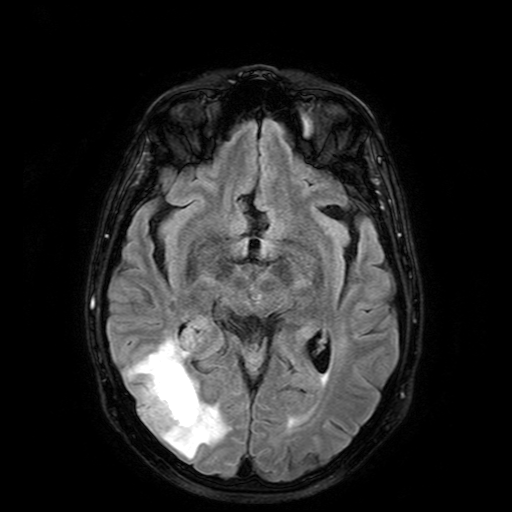
- modality: 3 Tesla brain MRI
- series: FLAIR with SPAIR
- study: ring-enhancing brain masses